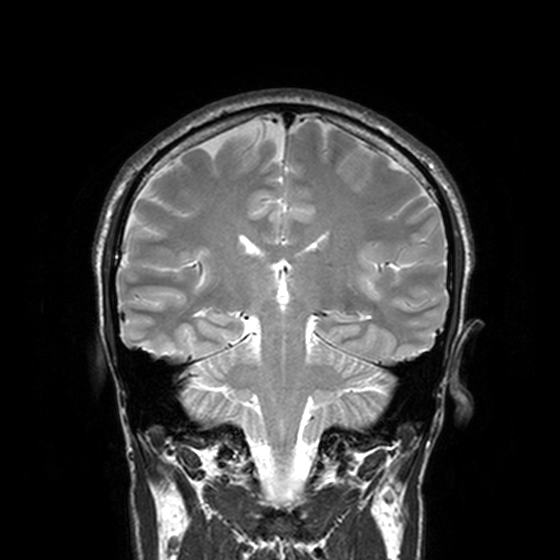
Case:
• modality: 3 Tesla brain MRI
• series: T2-weighted turbo spin echo, 3 mm
• study: ring-enhancing brain masses